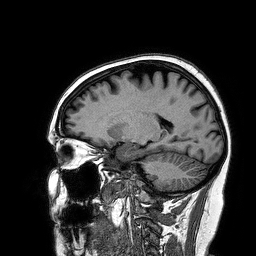
modality:
  type: brain MRI
  field_strength: 3T
series: 3D T1-weighted turbo field echo
study_topic: ring-enhancing brain masses